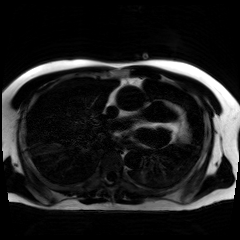
Case summary: Chemical-shift-encoded cardiac MRI.